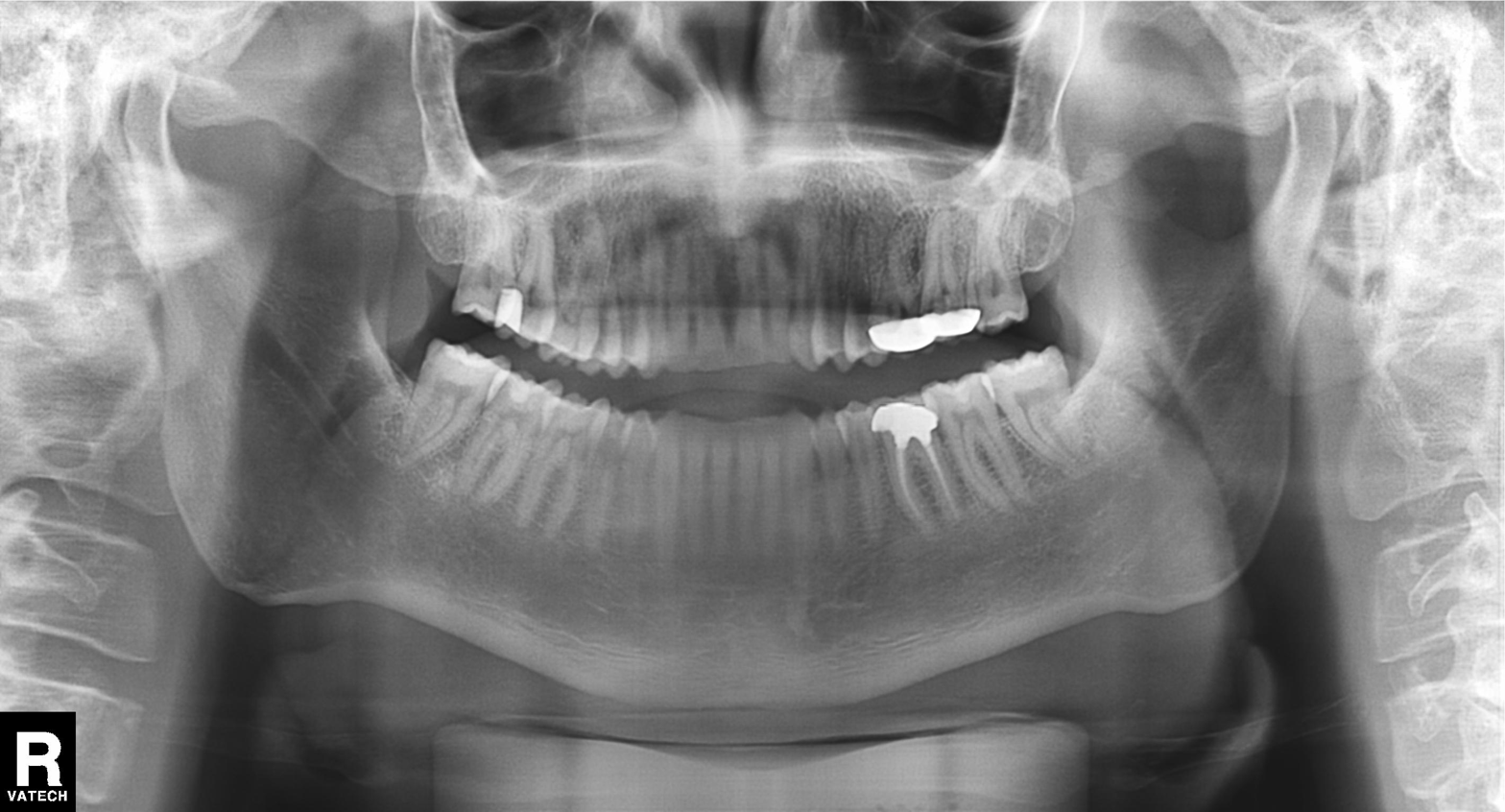
Panoramic dental radiograph (orthopantomogram).
Finding: dental caries (cavities).